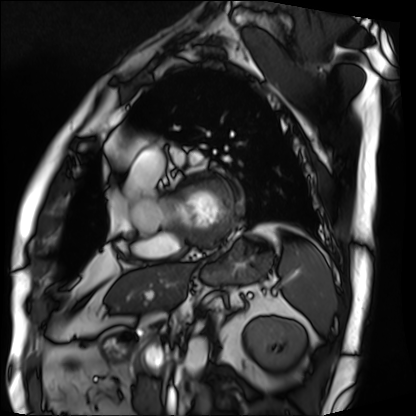
Cardiac MRI.
Subject group: patient.